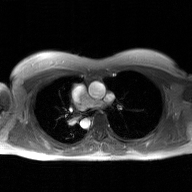
modality=2D phase-contrast cine MRI of the ascending aorta, GAN super-resolution reconstruction.